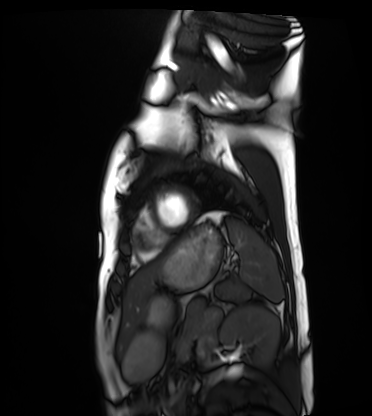
{"modality": "cardiac MRI", "cohort": "healthy volunteer"}